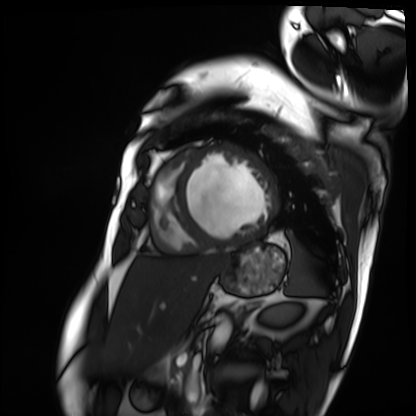
* modality · cardiac MRI
* subject group · patient